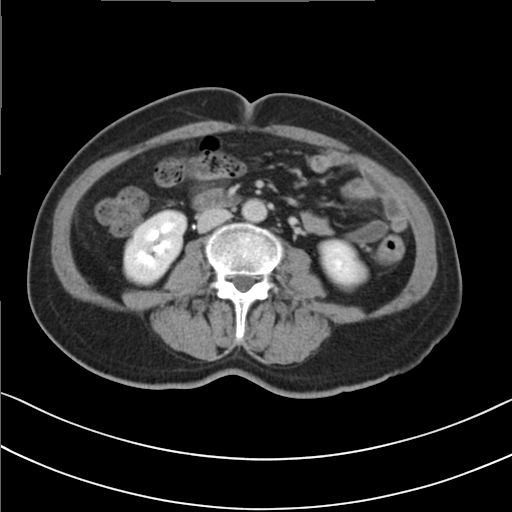
Multiphase abdominal CT, liver, delayed phase.
Patient: female, age 58.